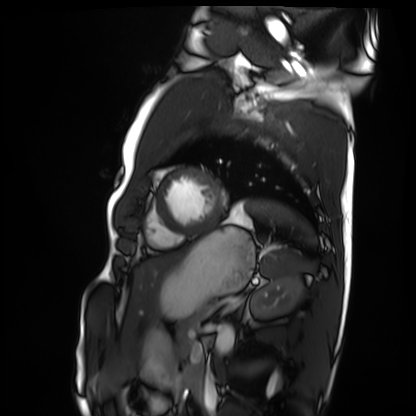
<record>
  <modality>cardiac MRI</modality>
  <cohort>healthy volunteer</cohort>
</record>